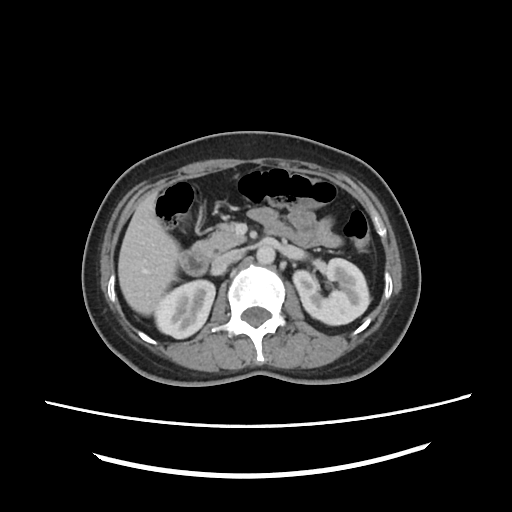
Case summary:
Multiphase abdominal CT, liver, portal venous phase. Patient: female, age 46. History: prior chemotherapy.